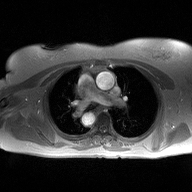
2D phase-contrast cine MRI of the ascending aorta, high-resolution GRAPPA acquisition.